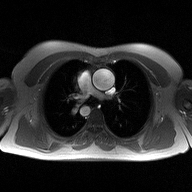
Case summary:
2D phase-contrast cine MRI of the ascending aorta, high-resolution GRAPPA acquisition.